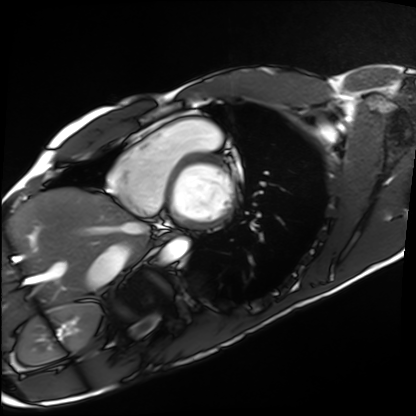
Cardiac MRI.
Subject group: healthy volunteer.